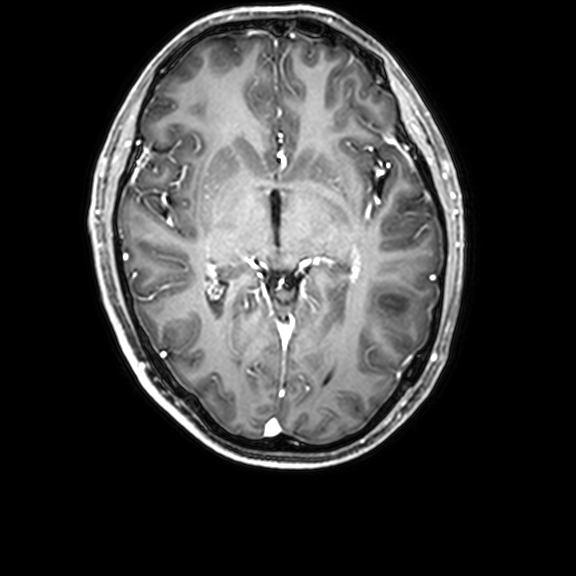
Summary: 3 Tesla brain MRI. Series: 3D T1-weighted with CLEAR. Study: ring-enhancing brain masses.